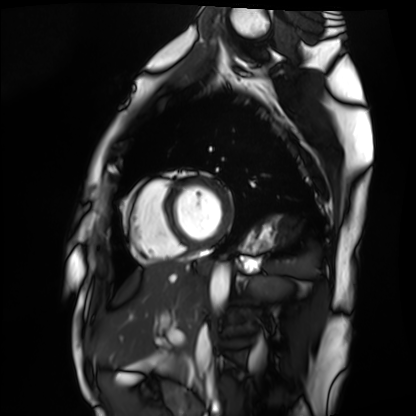
<case>
<modality>cardiac MRI</modality>
<cohort>healthy volunteer</cohort>
</case>